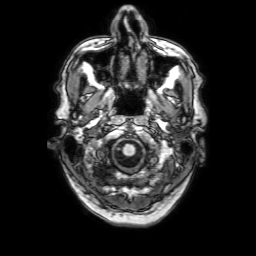
3 Tesla brain MRI.
Series: 3D T1-weighted with SENSE.
Study: ring-enhancing brain masses.